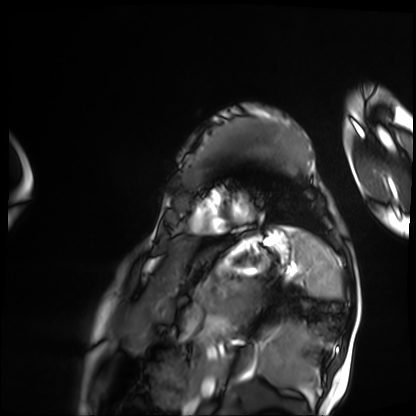
Summary:
Cardiac MRI. Subject group: patient.